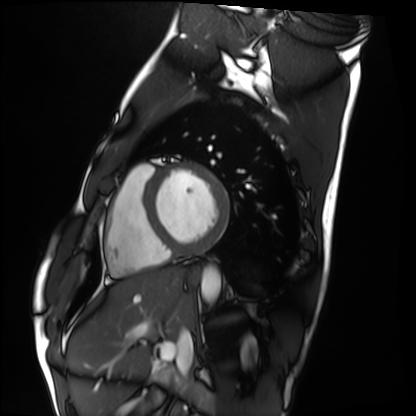
Cardiac MRI. Subject group: healthy volunteer.